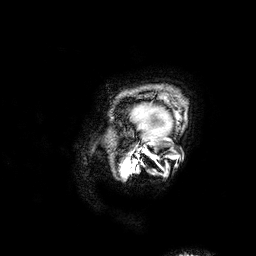
Case:
- modality · 3 Tesla brain MRI
- series · 3D T1-weighted
- study · ring-enhancing brain masses